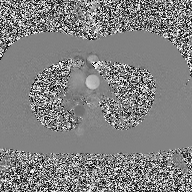
Summary:
2D phase-contrast cine MRI of the ascending aorta, high-resolution GRAPPA acquisition.